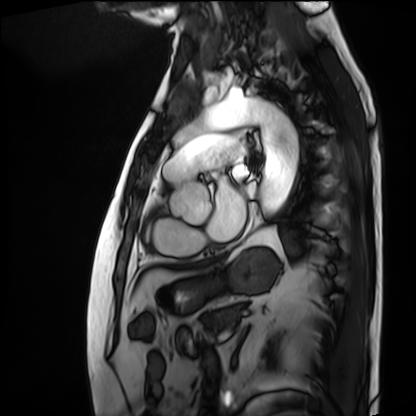
Summary:
Cardiac MRI. Subject group: patient.